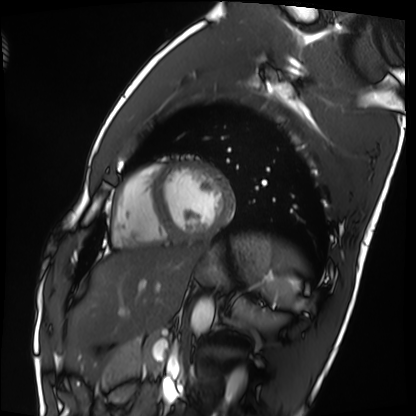
Clinical context:
Cardiac MRI. Subject group: healthy volunteer.